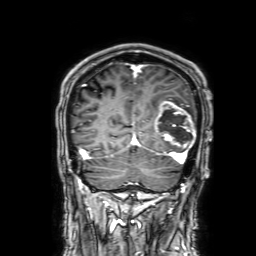
3 Tesla brain MRI.
Series: 3D T1-weighted with SENSE.
Study: ring-enhancing brain masses.